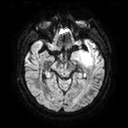
Clinical context: 3 Tesla brain MRI. Series: diffusion tensor imaging (medium iso). Study: ring-enhancing brain masses.